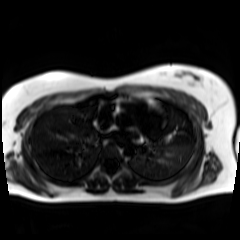
Q: What kind of scan is this?
A: Chemical-shift-encoded cardiac MRI.